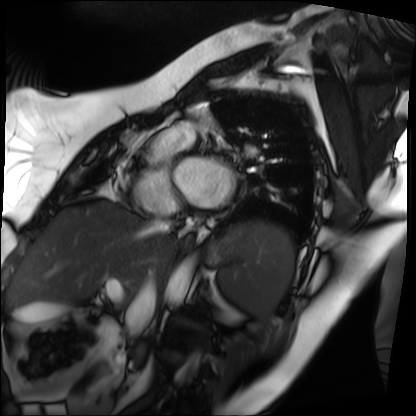
| field | value |
|---|---|
| modality | cardiac MRI |
| subject group | patient |